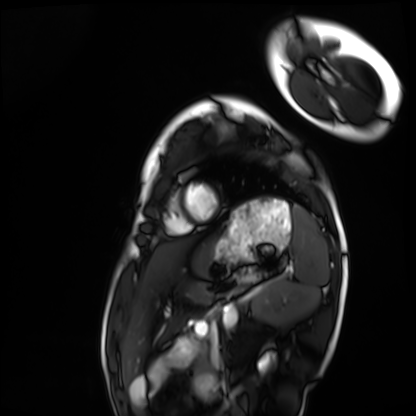
Cardiac MRI. Subject group: healthy volunteer.